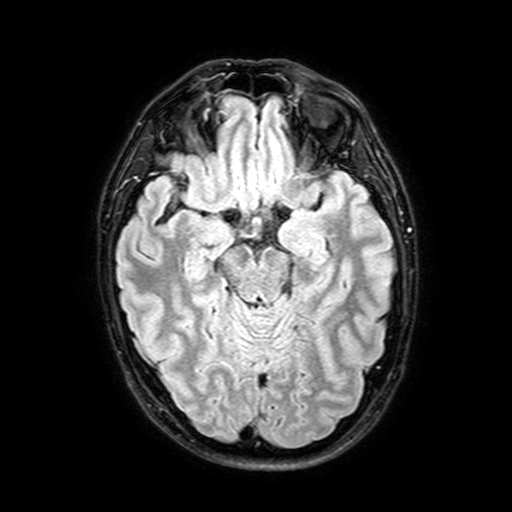
Case:
– modality: 3 Tesla brain MRI
– study: ring-enhancing brain masses